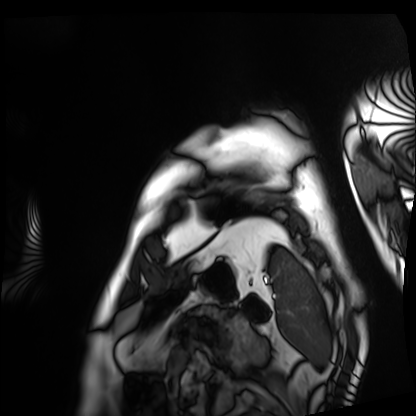
Case summary:
Cardiac MRI. Subject group: patient.